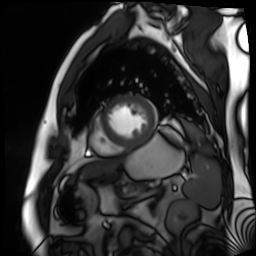
Case summary: Cardiac MR image of the myocardium. Subject cohort: cardiac patient.